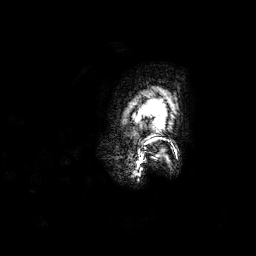
3 Tesla brain MRI. Series: 3D T1-weighted. Study: ring-enhancing brain masses.